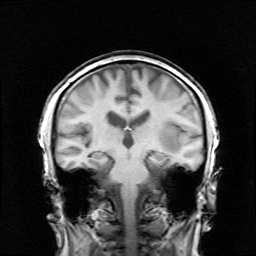
3 Tesla brain MRI. Series: survey. Study: ring-enhancing brain masses.